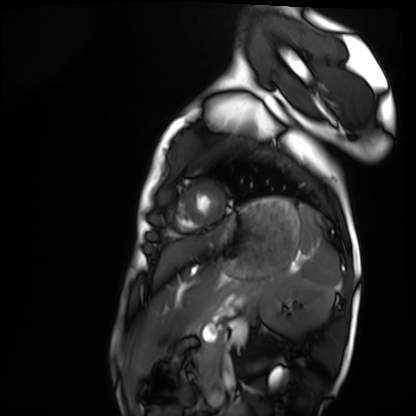
{
  "modality": "cardiac MRI",
  "cohort": "healthy volunteer"
}